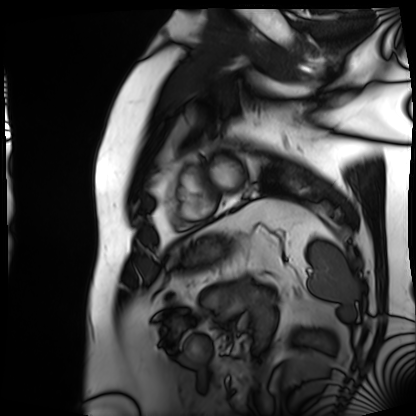
<scan>
<modality>cardiac MRI</modality>
<cohort>patient</cohort>
</scan>